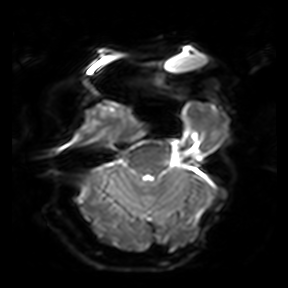
3 Tesla brain MRI. Series: diffusion-weighted imaging. Study: ring-enhancing brain masses.